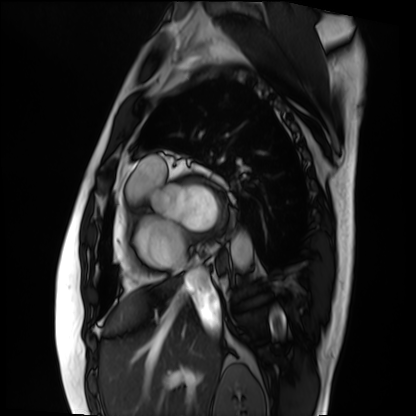
<case>
<modality>cardiac MRI</modality>
<cohort>patient</cohort>
</case>